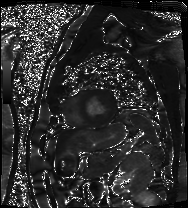
| field | value |
|---|---|
| modality | cardiac MRI |
| subject group | patient |